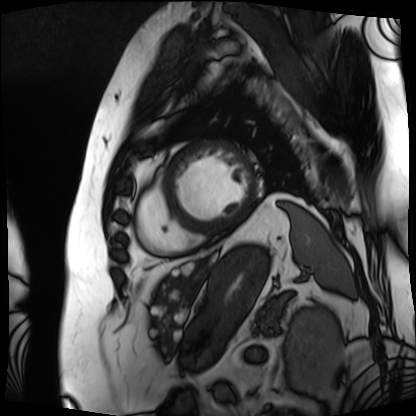
<record>
<modality>cardiac MRI</modality>
<cohort>patient</cohort>
</record>